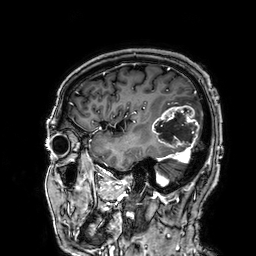
Q: What kind of scan is this?
A: 3 Tesla brain MRI.
Q: Series?
A: 3D T1-weighted.
Study: ring-enhancing brain masses.